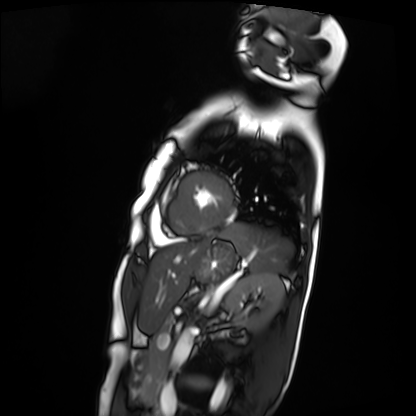
Q: What kind of scan is this?
A: Cardiac MRI.
Subject group: patient.